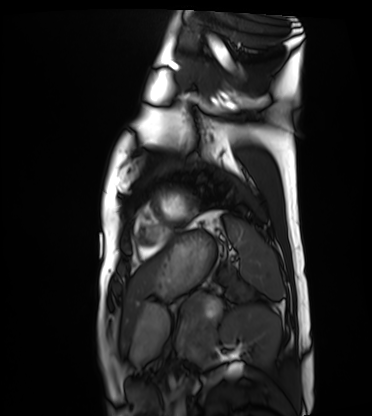
| field | value |
|---|---|
| modality | cardiac MRI |
| subject group | healthy volunteer |